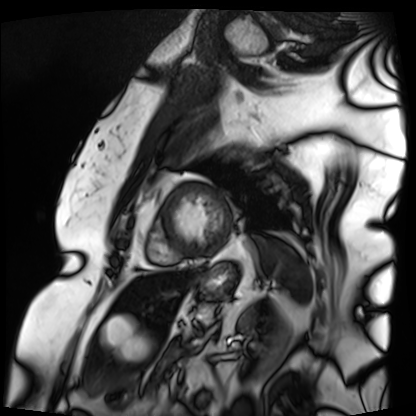
modality: cardiac MRI | subject group: patient.